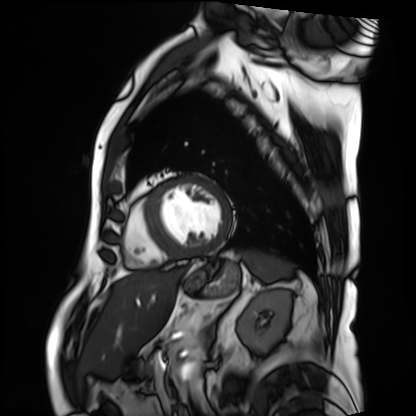
{
  "modality": "cardiac MRI",
  "cohort": "patient"
}